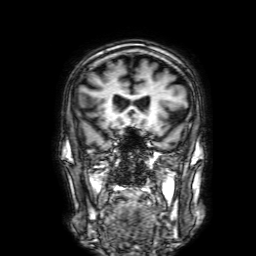
Q: What kind of scan is this?
A: 3 Tesla brain MRI.
Q: Series?
A: 3D T1-weighted with SENSE.
Study: ring-enhancing brain masses.